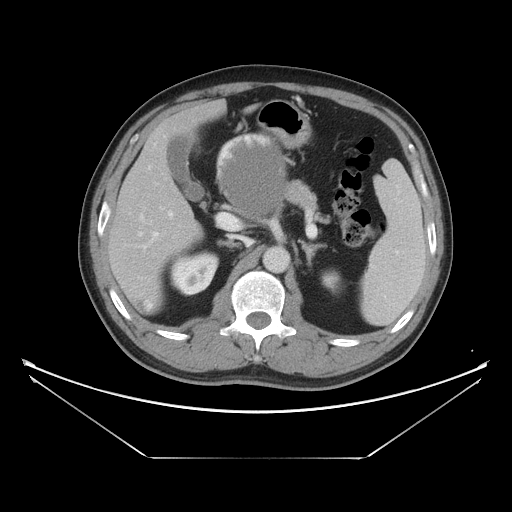
{"modality": {"type": "multiphase abdominal CT", "region": "liver", "phase": "portal venous"}, "patient": {"sex": "male", "age": 47}}